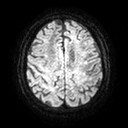
3 Tesla brain MRI. Series: diffusion tensor imaging (medium iso). Study: ring-enhancing brain masses.